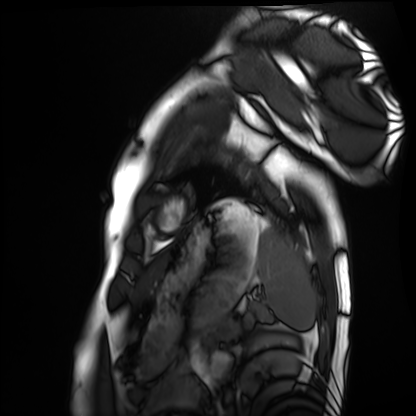
Q: What kind of scan is this?
A: Cardiac MRI.
Subject group: healthy volunteer.